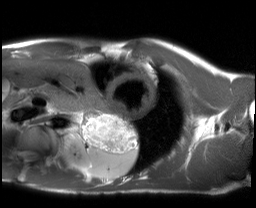
Case:
• modality — cardiac MRI
• subject group — healthy volunteer